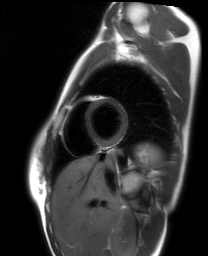
Case:
– modality: cardiac MRI
– subject group: healthy volunteer